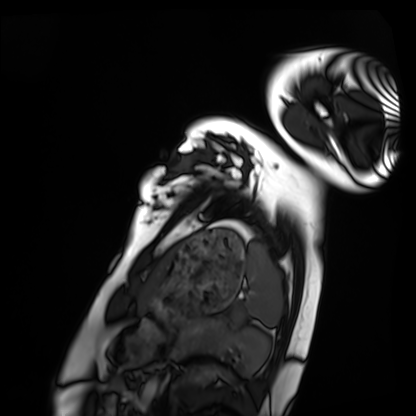
Summary:
Cardiac MRI. Subject group: healthy volunteer.